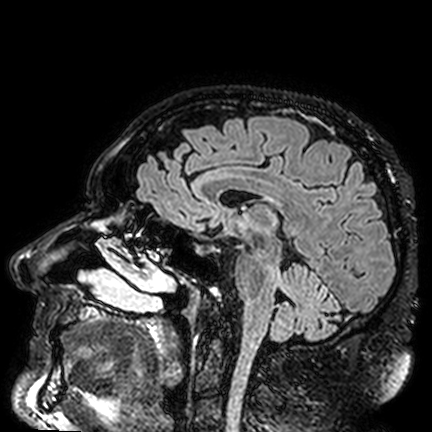
| field | value |
|---|---|
| modality | 3 Tesla brain MRI |
| series | FLAIR VISTA |
| study | ring-enhancing brain masses |